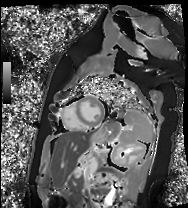
| field | value |
|---|---|
| modality | cardiac MR image of the myocardium |
| subject cohort | healthy volunteer |